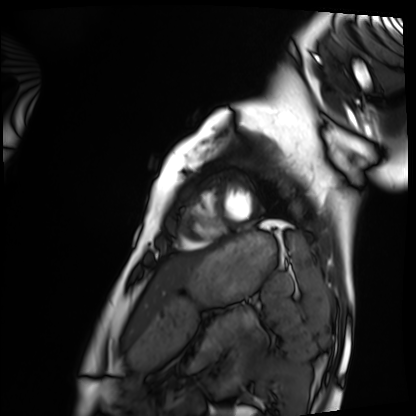
Cardiac MRI. Subject group: healthy volunteer.